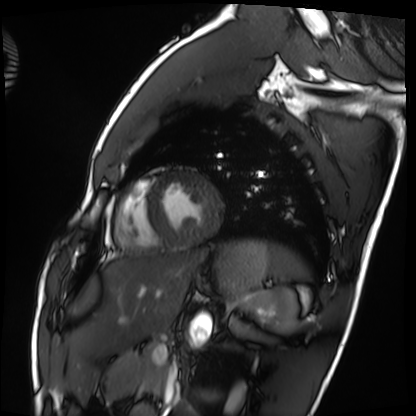
Cardiac MRI.
Subject group: healthy volunteer.